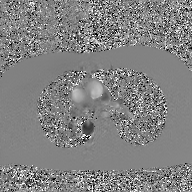
2D phase-contrast cine MRI of the ascending aorta, GAN super-resolution reconstruction.